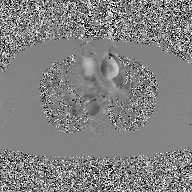
2D phase-contrast cine MRI of the ascending aorta, GAN super-resolution reconstruction.